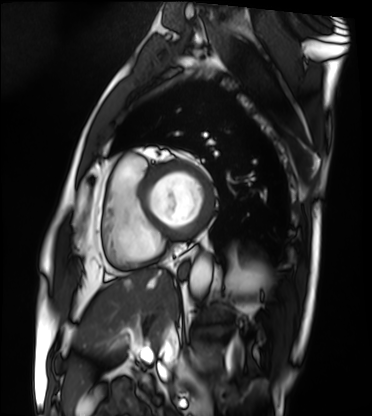
{"modality": "cardiac MRI", "cohort": "patient"}